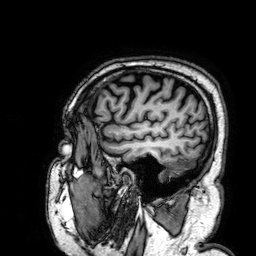
<study>
<modality>
  <type>brain MRI</type>
  <field_strength>3T</field_strength>
</modality>
<series>3D T1-weighted</series>
<study_topic>ring-enhancing brain masses</study_topic>
</study>